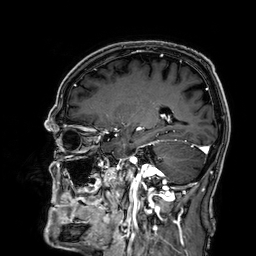
- modality — 3 Tesla brain MRI
- series — 3D T1-weighted
- study — ring-enhancing brain masses